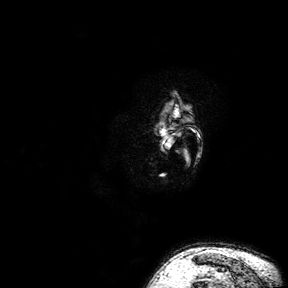
Case summary: 3 Tesla brain MRI. Series: 3D T1-weighted turbo field echo with SENSE. Study: ring-enhancing brain masses.